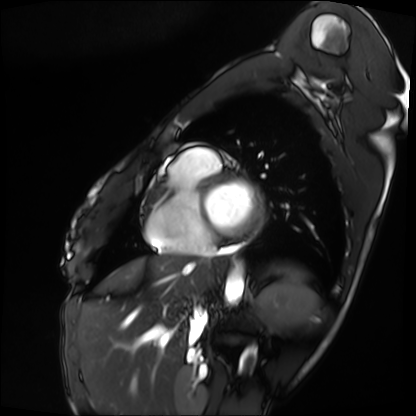
Cardiac MRI.
Subject group: patient.